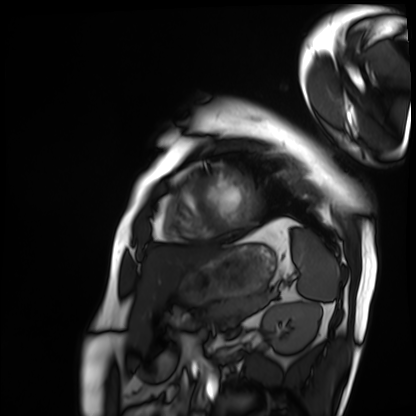
Cardiac MRI. Subject group: patient.